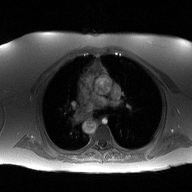
2D phase-contrast cine MRI of the ascending aorta, high-resolution GRAPPA acquisition.